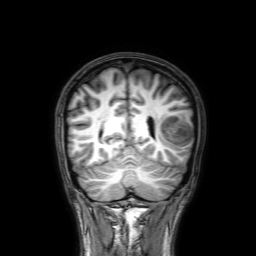
modality: 3 Tesla brain MRI | series: 3D T1-weighted with SENSE | study: ring-enhancing brain masses.